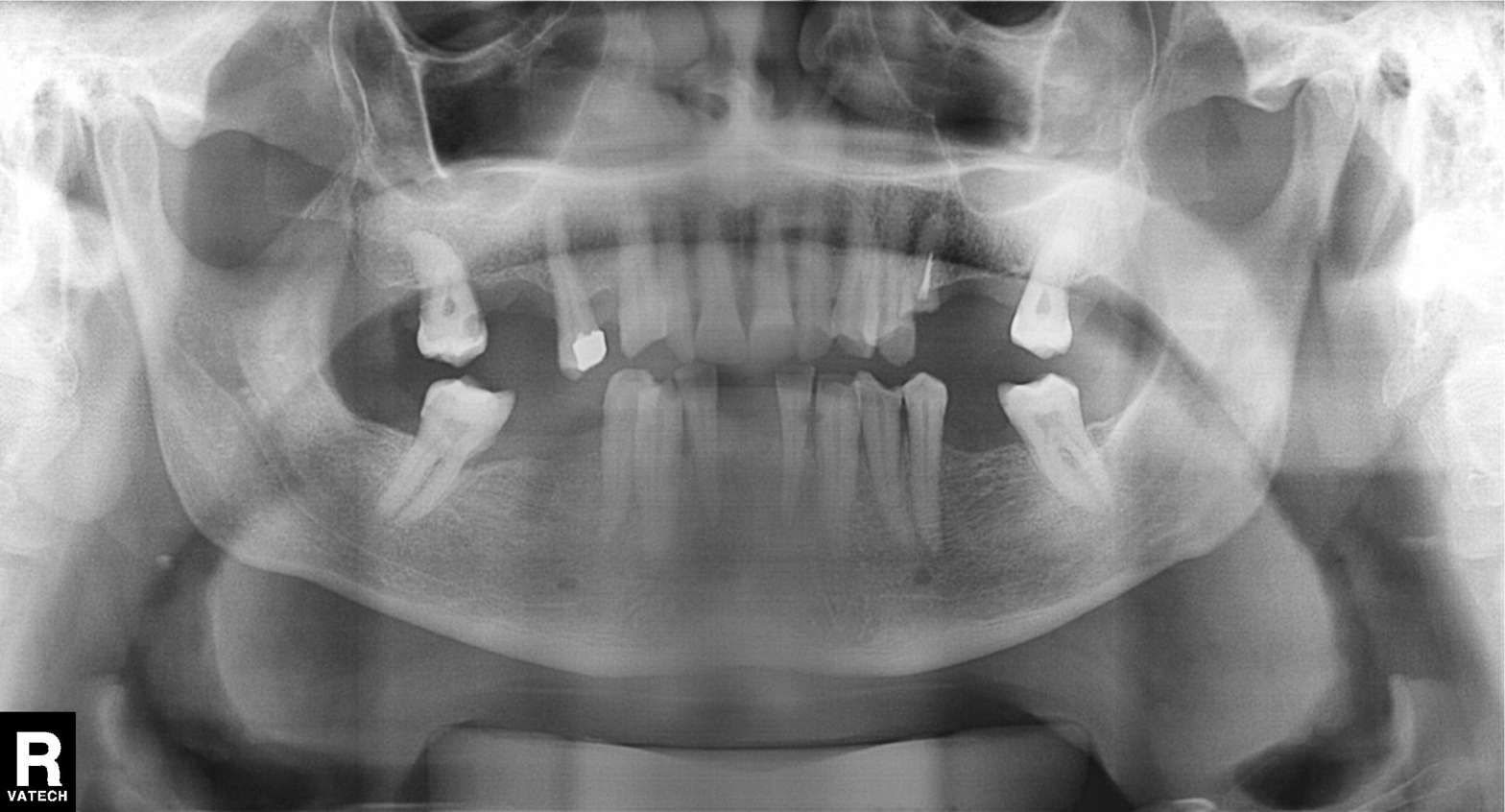
Summary:
Panoramic dental radiograph (orthopantomogram).
Conclusion:
Alveolar bone loss.